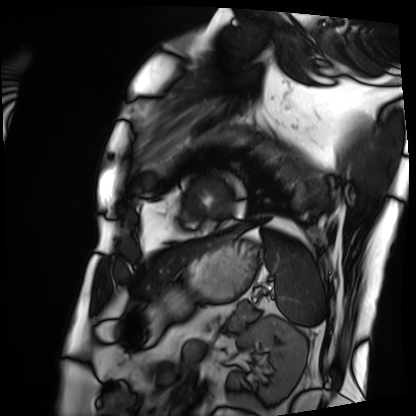
Cardiac MRI. Subject group: patient.